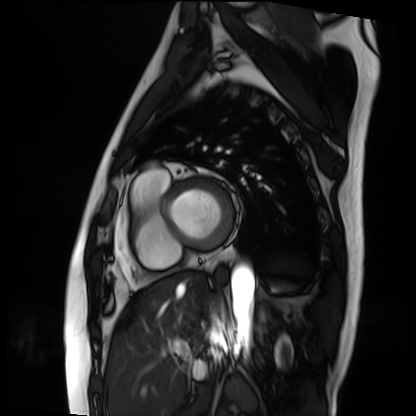
Cardiac MRI. Subject group: patient.